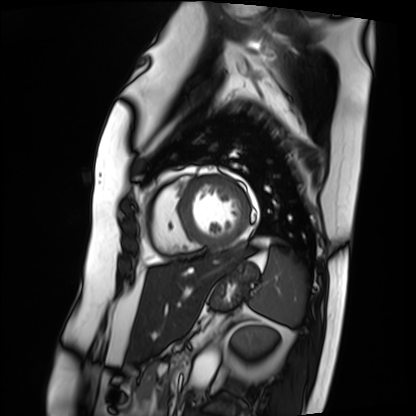
Q: What kind of scan is this?
A: Cardiac MRI.
Subject group: patient.